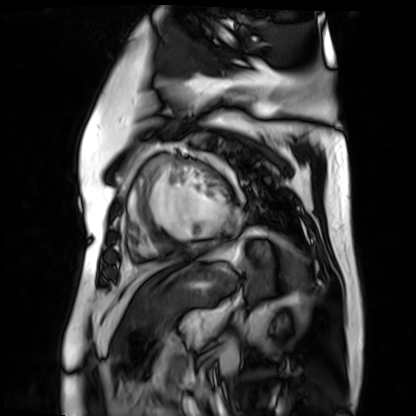
Q: What kind of scan is this?
A: Cardiac MR image of the myocardium.
Subject cohort: cardiac patient.